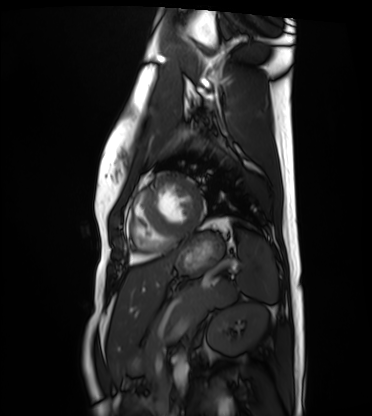
Cardiac MRI.
Subject group: healthy volunteer.